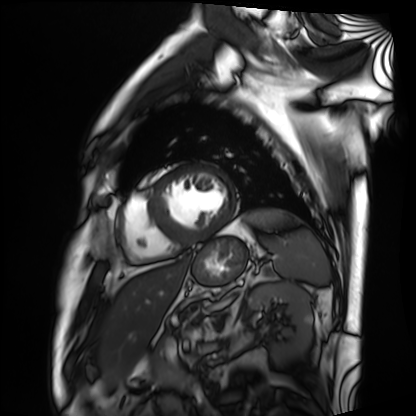
modality — cardiac MRI
subject group — patient